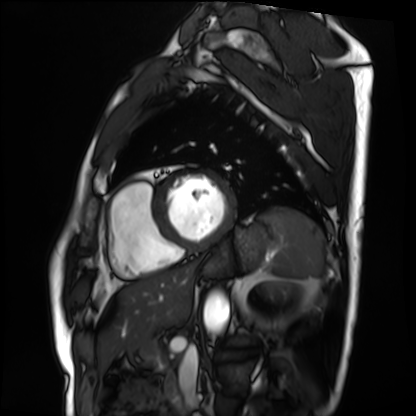
Summary:
Cardiac MRI. Subject group: patient.